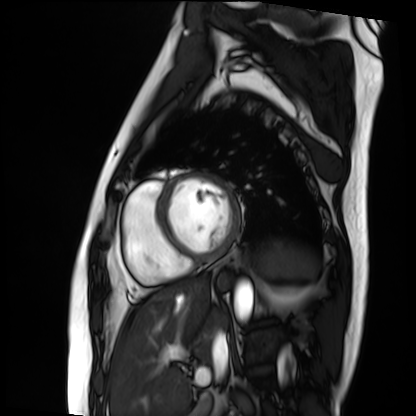
Cardiac MRI. Subject group: patient.